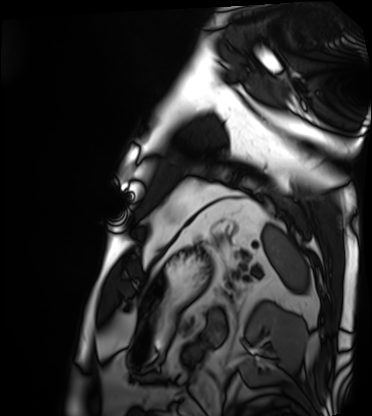
• modality — cardiac MRI
• subject group — patient